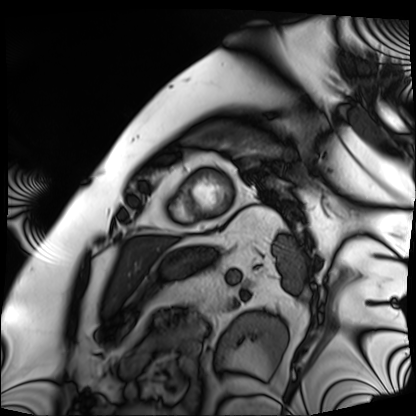
Case:
– modality: cardiac MRI
– subject group: patient